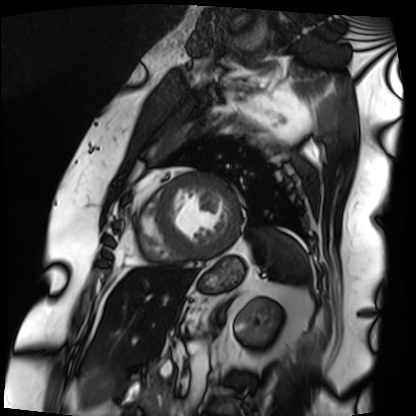
Cardiac MRI. Subject group: patient.